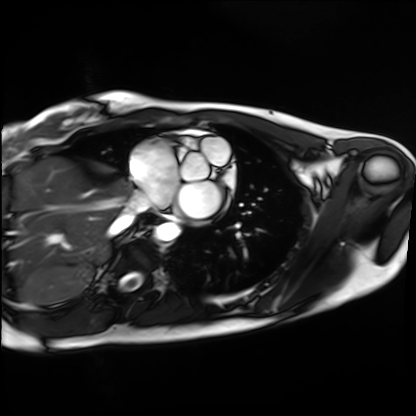
Clinical context: Cardiac MRI. Subject group: healthy volunteer.